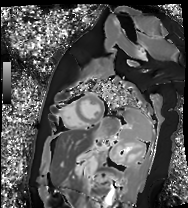
Clinical context: Cardiac MR image of the myocardium. Subject cohort: healthy volunteer.